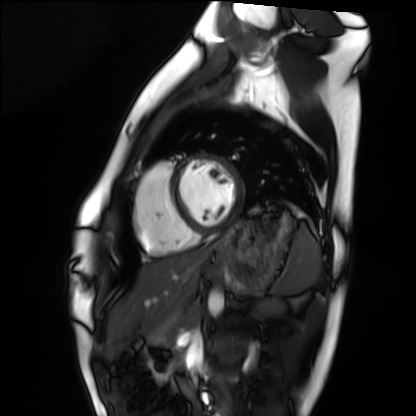
Summary:
Cardiac MRI. Subject group: healthy volunteer.